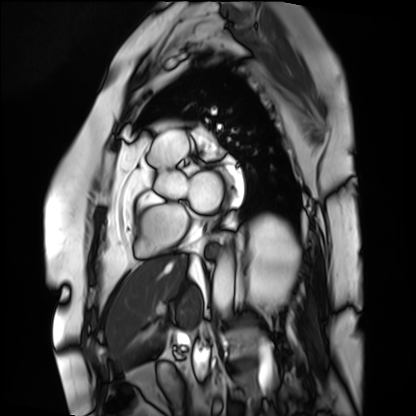
Cardiac MRI. Subject group: patient.